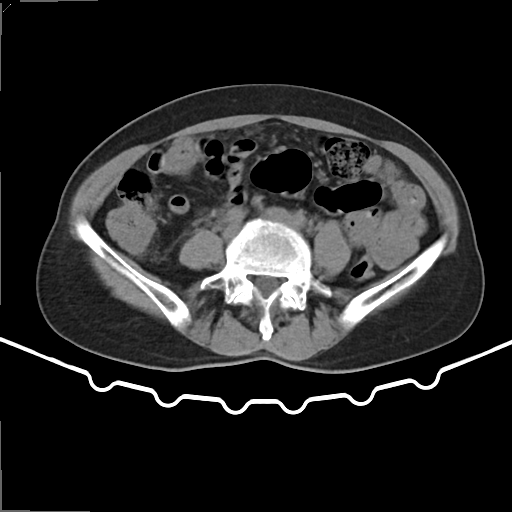
Case:
- modality — multiphase abdominal CT, liver, non-contrast phase